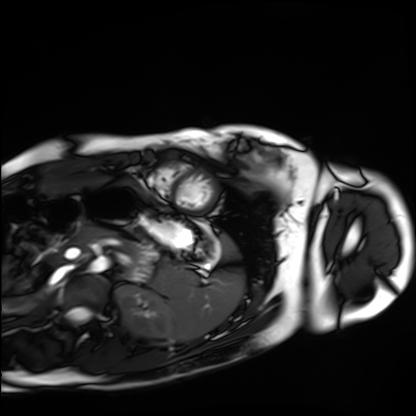
Case:
* modality — cardiac MRI
* subject group — healthy volunteer